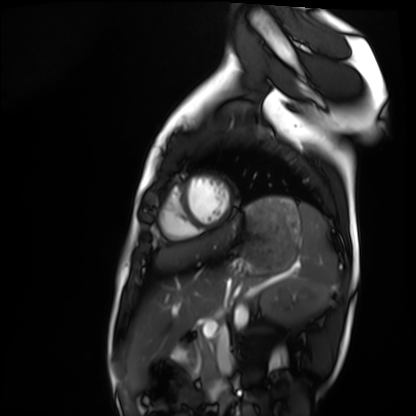
| field | value |
|---|---|
| modality | cardiac MRI |
| subject group | healthy volunteer |